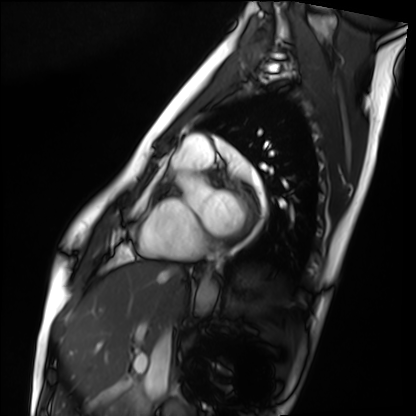
Cardiac MRI.
Subject group: healthy volunteer.